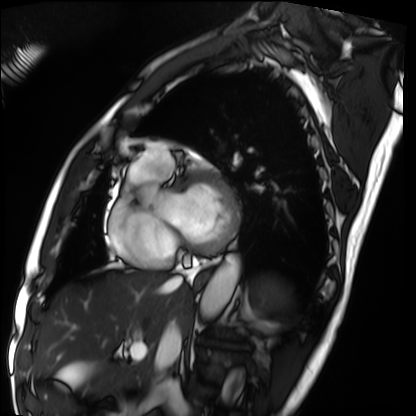
Cardiac MRI.
Subject group: patient.